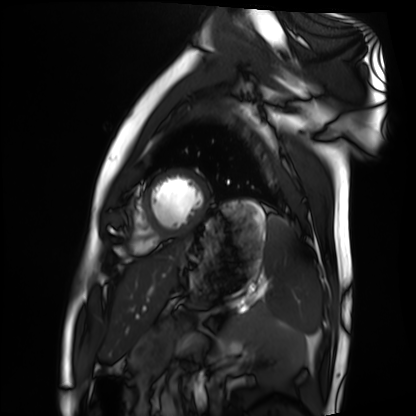
Cardiac MRI. Subject group: healthy volunteer.